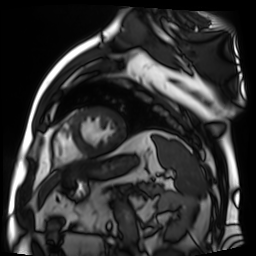
modality — cardiac MR image of the myocardium
subject cohort — cardiac patient